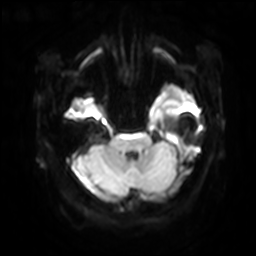
3 Tesla brain MRI. Series: diffusion-weighted imaging with SENSE (WIP). Study: ring-enhancing brain masses.